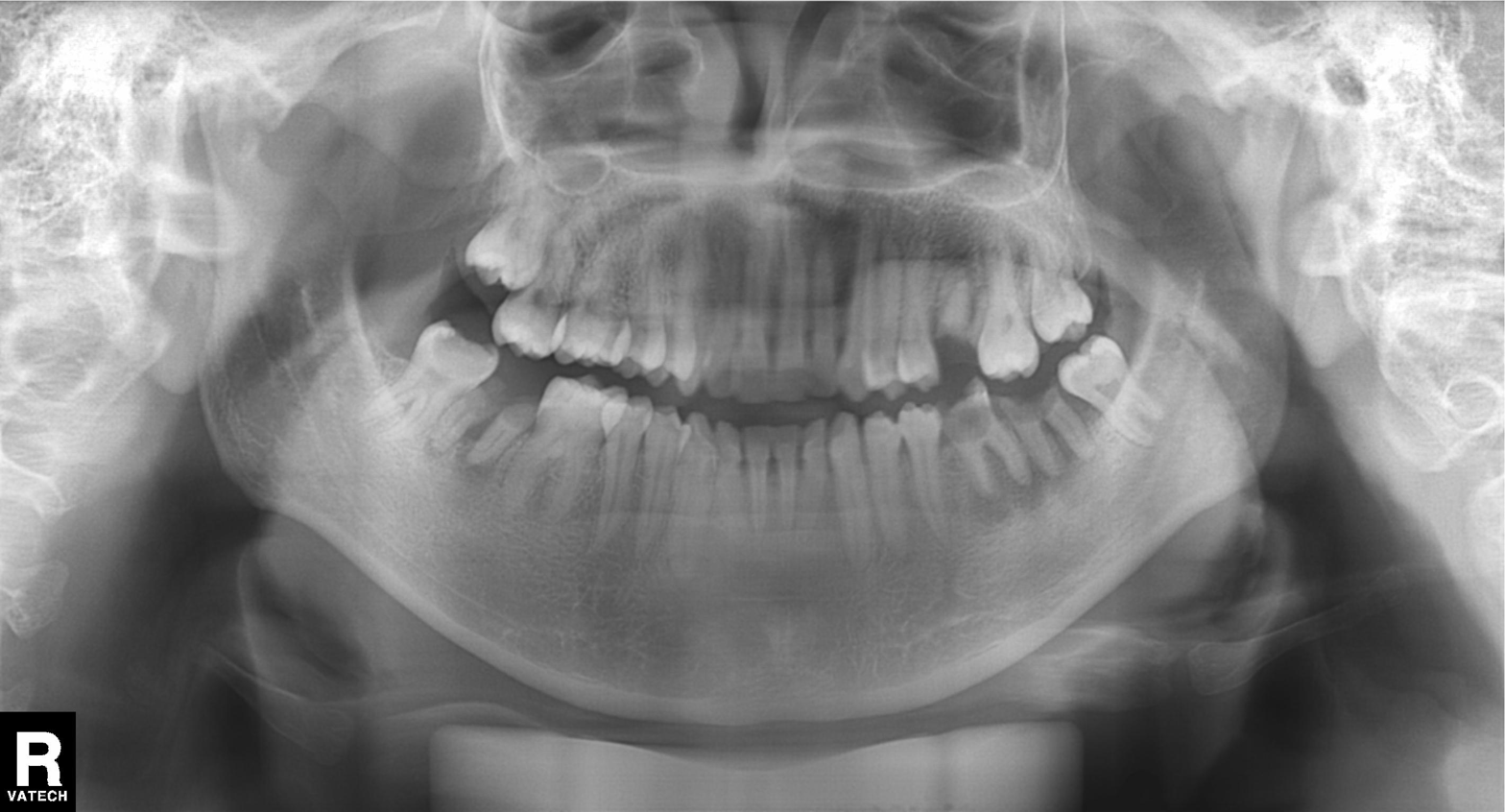
Q: What kind of scan is this?
A: Panoramic dental radiograph (orthopantomogram).
Q: What is the radiographic finding?
A: Tooth impaction.